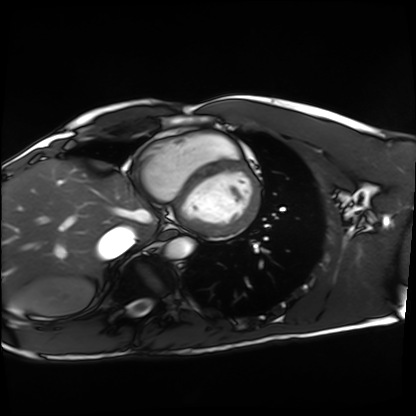
Summary: Cardiac MRI. Subject group: healthy volunteer.